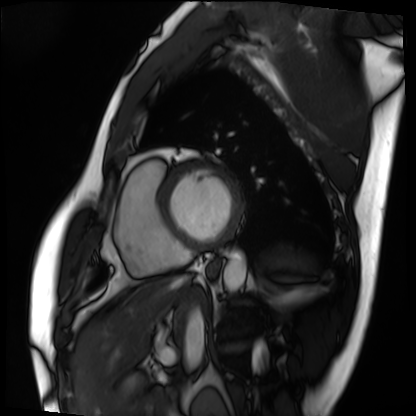
* modality — cardiac MRI
* subject group — patient